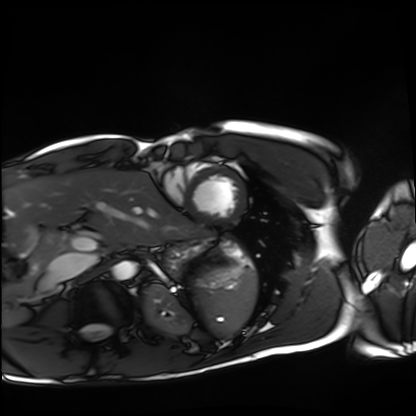
Cardiac MRI. Subject group: healthy volunteer.